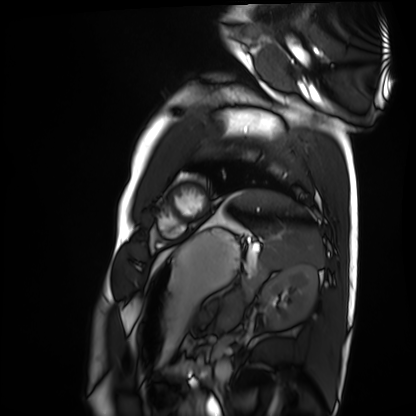
{
  "modality": "cardiac MRI",
  "cohort": "healthy volunteer"
}